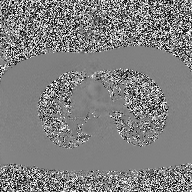
modality = 2D phase-contrast cine MRI of the ascending aorta